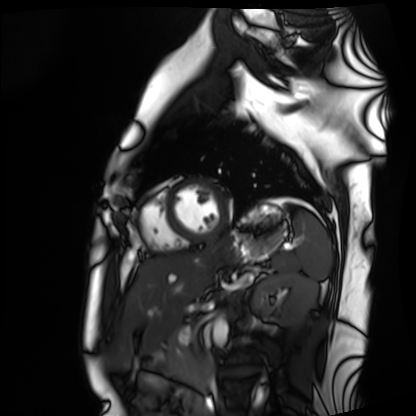
| field | value |
|---|---|
| modality | cardiac MRI |
| subject group | healthy volunteer |